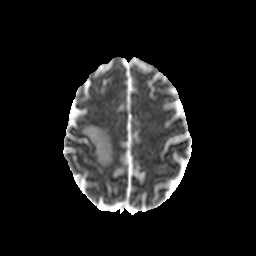
3 Tesla brain MRI. Series: diffusion-weighted imaging with CLEAR. Study: ring-enhancing brain masses.